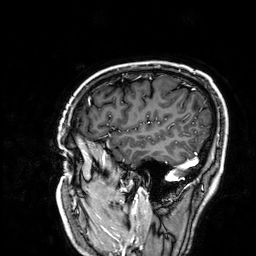
Clinical context:
3 Tesla brain MRI. Series: 3D T1-weighted. Study: ring-enhancing brain masses.